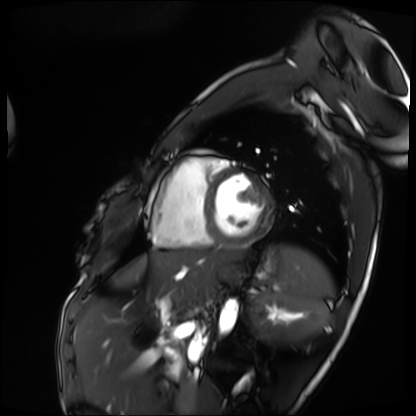
Summary: Cardiac MRI. Subject group: patient.